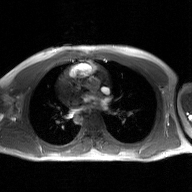
Case:
* modality — 2D phase-contrast cine MRI of the ascending aorta, GAN super-resolution reconstruction